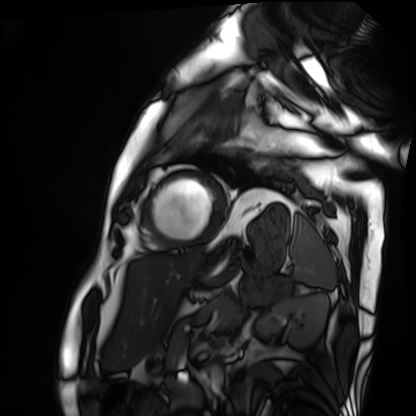
| field | value |
|---|---|
| modality | cardiac MRI |
| subject group | patient |